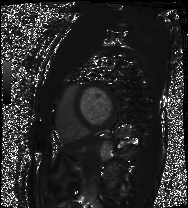
Cardiac MRI. Subject group: patient.